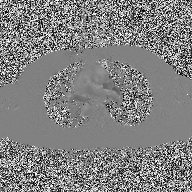
| field | value |
|---|---|
| modality | 2D phase-contrast cine MRI of the ascending aorta |